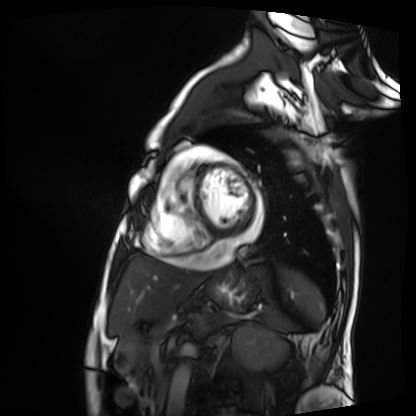
Cardiac MRI. Subject group: patient.